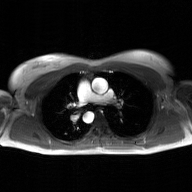
2D phase-contrast cine MRI of the ascending aorta, GAN super-resolution reconstruction.